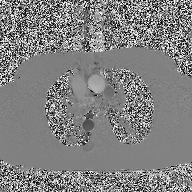
2D phase-contrast cine MRI of the ascending aorta, high-resolution GRAPPA acquisition.